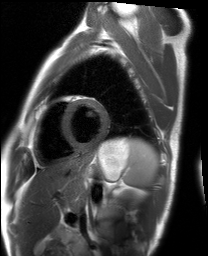
• modality — cardiac MRI
• subject group — healthy volunteer